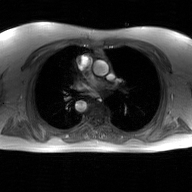
Q: What kind of scan is this?
A: 2D phase-contrast cine MRI of the ascending aorta, GAN super-resolution reconstruction.